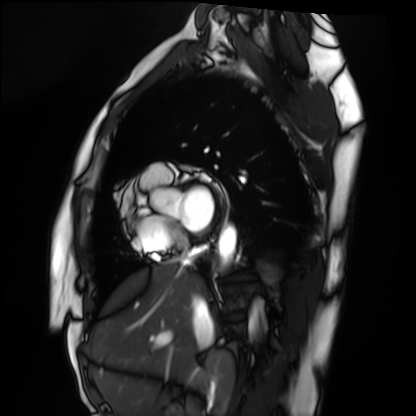
{"modality": "cardiac MRI", "cohort": "healthy volunteer"}